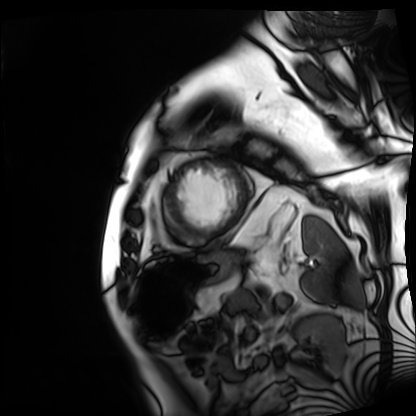
modality: cardiac MRI
subject group: patient